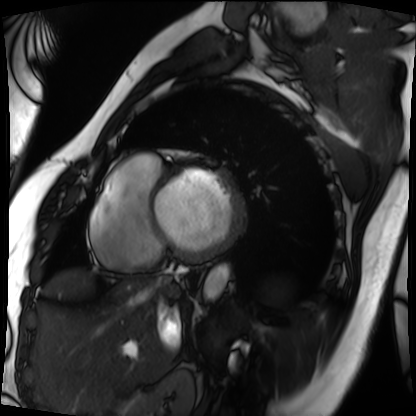
modality: cardiac MRI | subject group: patient.